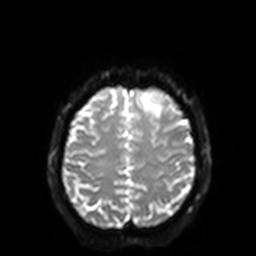
<case>
<modality>
  <type>brain MRI</type>
  <field_strength>3T</field_strength>
</modality>
<series>diffusion-weighted imaging with SENSE (WIP)</series>
<study_topic>ring-enhancing brain masses</study_topic>
</case>